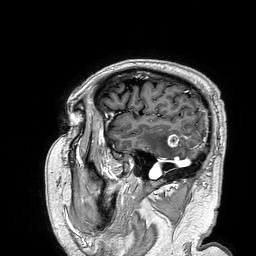
modality: 3 Tesla brain MRI; series: 3D T1-weighted turbo field echo; study: ring-enhancing brain masses.